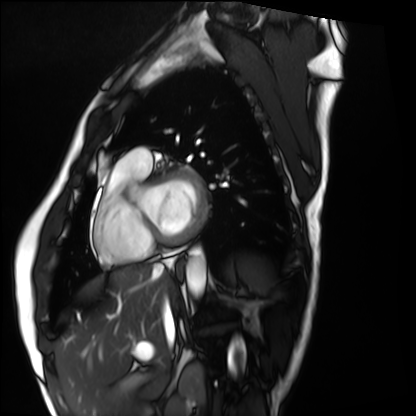
Cardiac MRI.
Subject group: healthy volunteer.